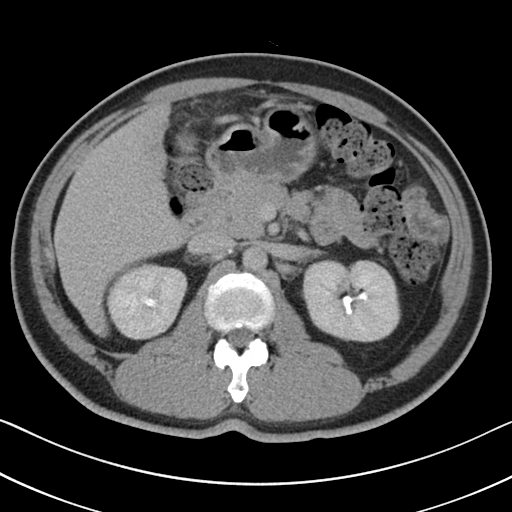
{"modality": {"type": "multiphase abdominal CT", "region": "liver", "phase": "delayed"}, "patient": {"sex": "male", "age": 51}}